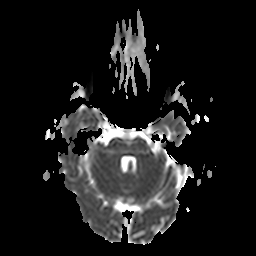
3 Tesla brain MRI.
Series: apparent diffusion coefficient (ADC) map.
Study: ring-enhancing brain masses.